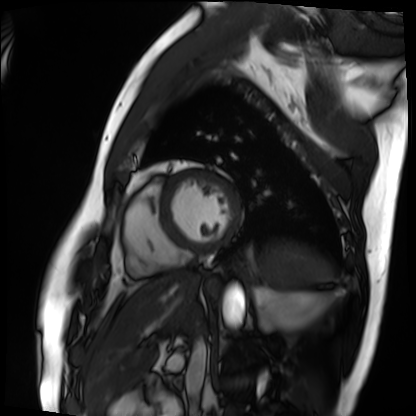
Q: What kind of scan is this?
A: Cardiac MRI.
Subject group: patient.